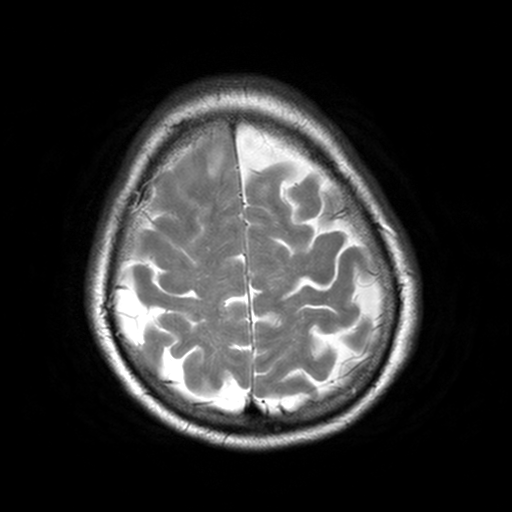
{"modality": {"type": "brain MRI", "field_strength": "3T"}, "series": "T2-weighted turbo spin echo, 3 mm", "study_topic": "ring-enhancing brain masses"}